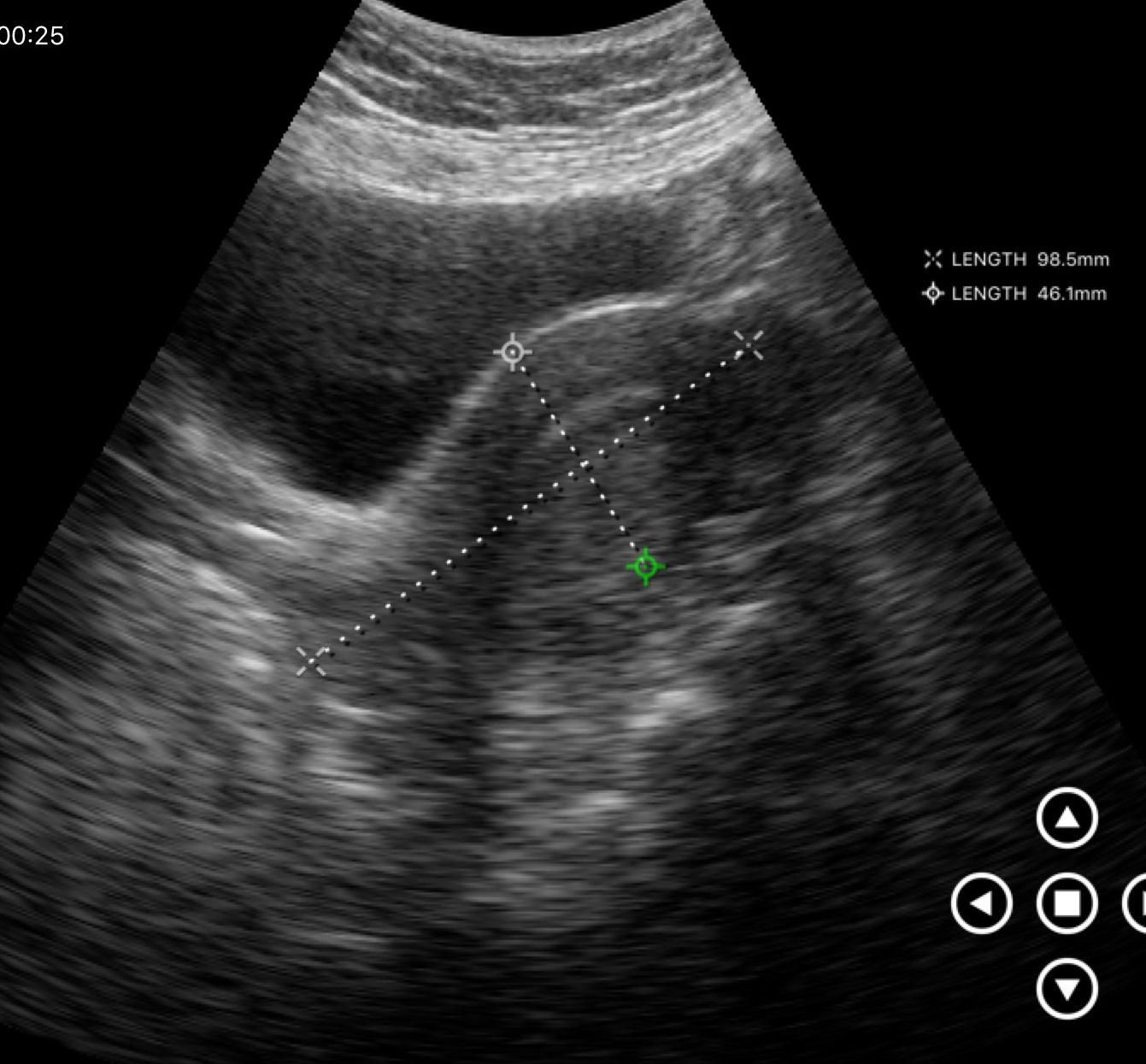
<case>
  <modality>
    <type>genitourinary ultrasound</type>
  </modality>
</case>